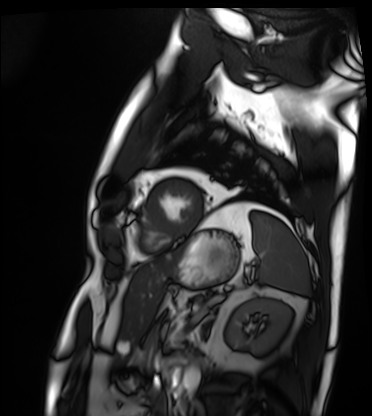
modality: cardiac MRI; subject group: patient.